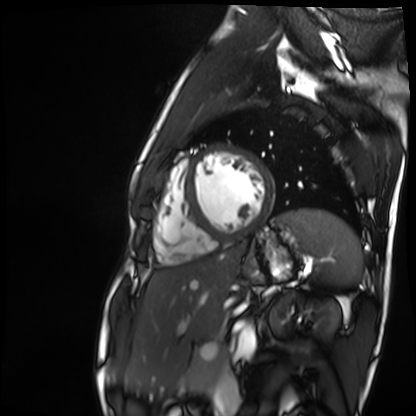
modality: cardiac MR image of the myocardium; subject cohort: healthy volunteer.